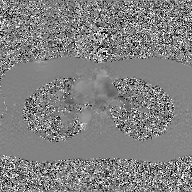
modality: 2D phase-contrast cine MRI of the ascending aorta, GAN super-resolution reconstruction.